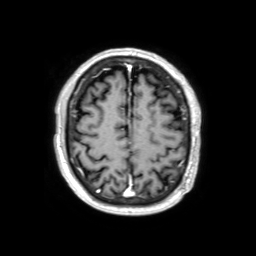
3 Tesla brain MRI. Series: 3D T1-weighted TFE with SENSE. Study: ring-enhancing brain masses.